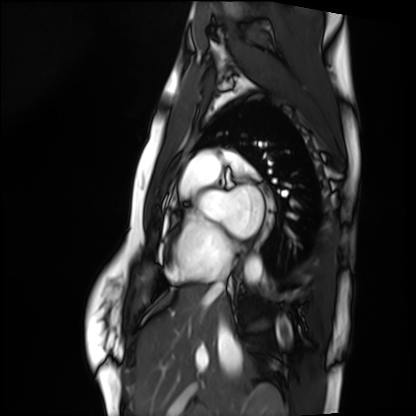
Summary: Cardiac MRI. Subject group: healthy volunteer.